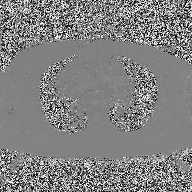
| field | value |
|---|---|
| modality | 2D phase-contrast cine MRI of the ascending aorta |